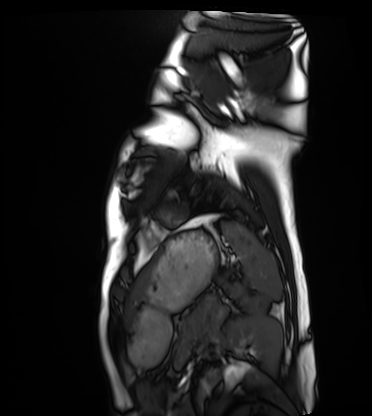
Cardiac MRI. Subject group: healthy volunteer.